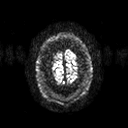
modality = 3 Tesla brain MRI | series = diffusion tensor imaging (medium iso) | study = ring-enhancing brain masses.